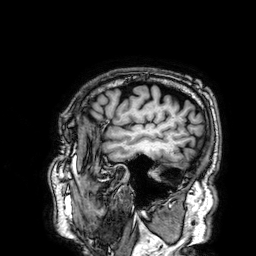
3 Tesla brain MRI. Series: 3D T1-weighted. Study: ring-enhancing brain masses.